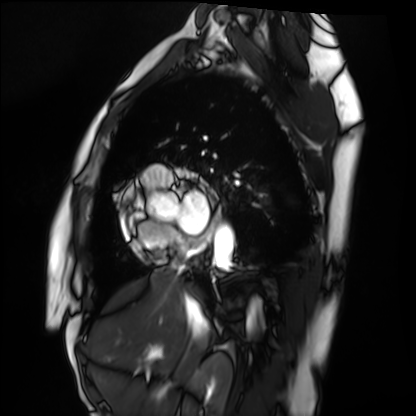
Q: What kind of scan is this?
A: Cardiac MRI.
Subject group: healthy volunteer.